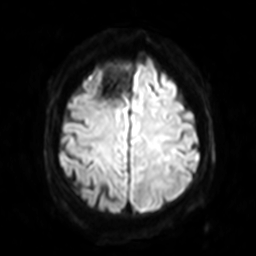
3 Tesla brain MRI.
Series: diffusion-weighted imaging with SENSE (WIP).
Study: ring-enhancing brain masses.